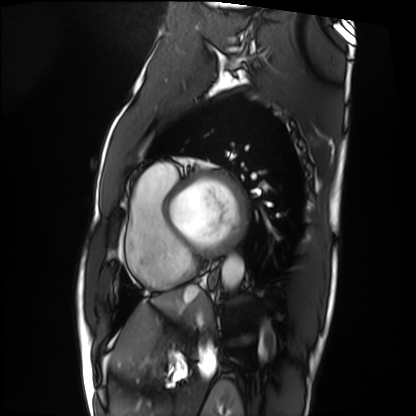
| field | value |
|---|---|
| modality | cardiac MRI |
| subject group | patient |